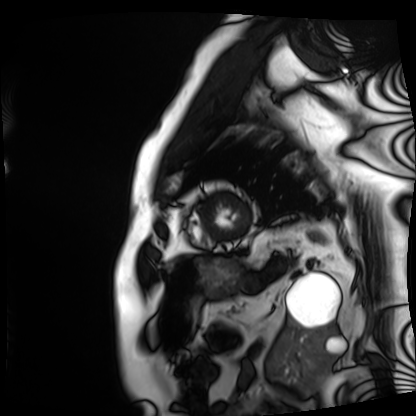
| field | value |
|---|---|
| modality | cardiac MRI |
| subject group | patient |